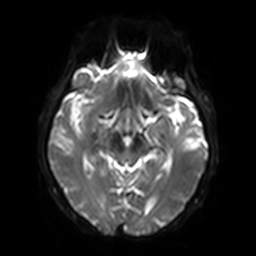
3 Tesla brain MRI. Series: diffusion-weighted imaging with SENSE (WIP). Study: ring-enhancing brain masses.